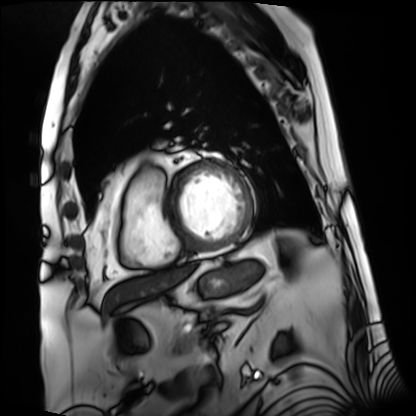
Cardiac MRI. Subject group: patient.